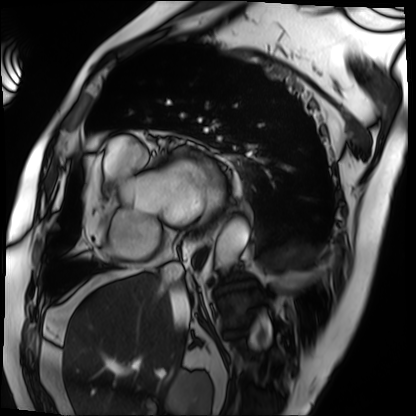
modality: cardiac MRI
cohort: patient